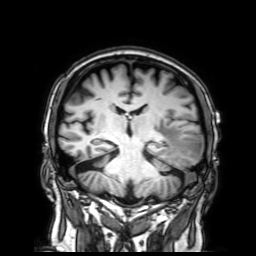
3 Tesla brain MRI. Study: ring-enhancing brain masses.